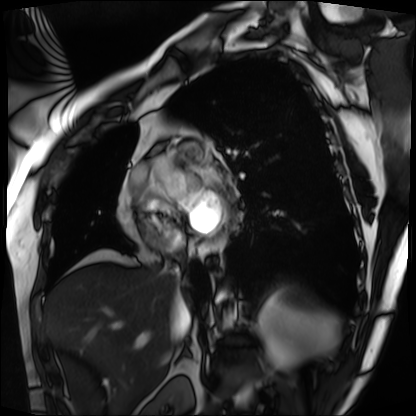
| field | value |
|---|---|
| modality | cardiac MRI |
| subject group | patient |